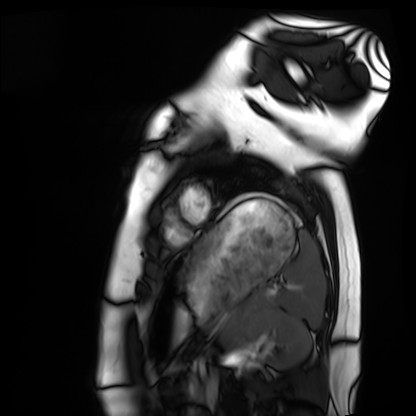
Cardiac MRI. Subject group: healthy volunteer.